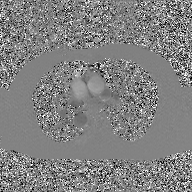
<scan>
  <modality>
    <type>2D phase-contrast cine MRI</type>
    <region>ascending aorta</region>
    <reconstruction>GAN super-resolution reconstruction</reconstruction>
  </modality>
</scan>